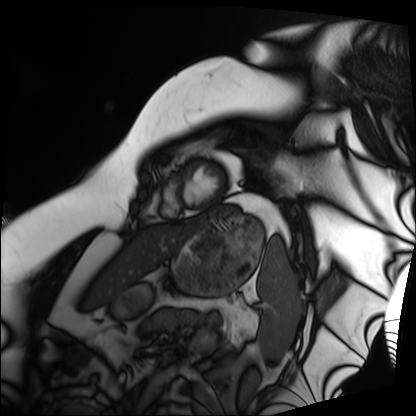
<record>
<modality>cardiac MRI</modality>
<cohort>patient</cohort>
</record>